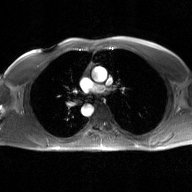
modality = 2D phase-contrast cine MRI of the ascending aorta, GAN super-resolution reconstruction